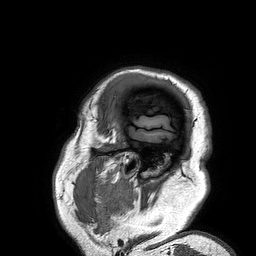
modality: 3 Tesla brain MRI; series: 3D T1-weighted turbo field echo; study: ring-enhancing brain masses.